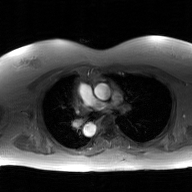
| field | value |
|---|---|
| modality | 2D phase-contrast cine MRI of the ascending aorta, GAN super-resolution reconstruction |